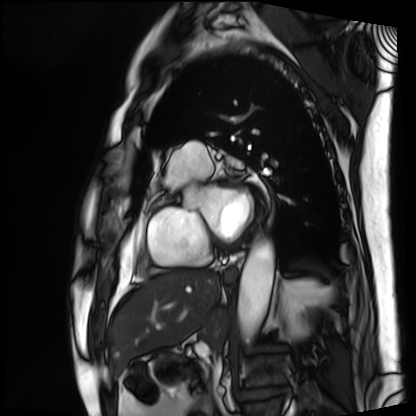
– modality — cardiac MRI
– subject group — patient